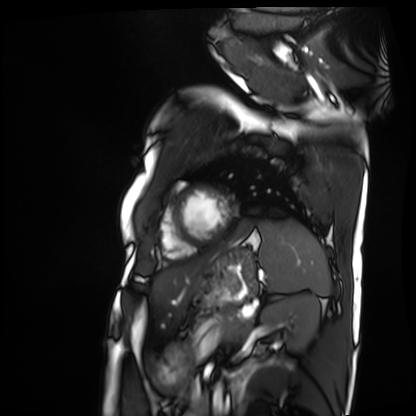
Summary:
Cardiac MRI. Subject group: patient.